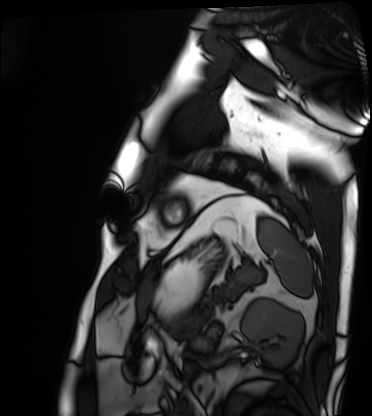
modality=cardiac MRI; subject group=patient.